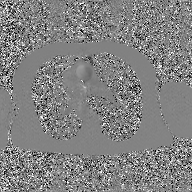
{"modality": {"type": "2D phase-contrast cine MRI", "region": "ascending aorta", "reconstruction": "GAN super-resolution reconstruction"}}